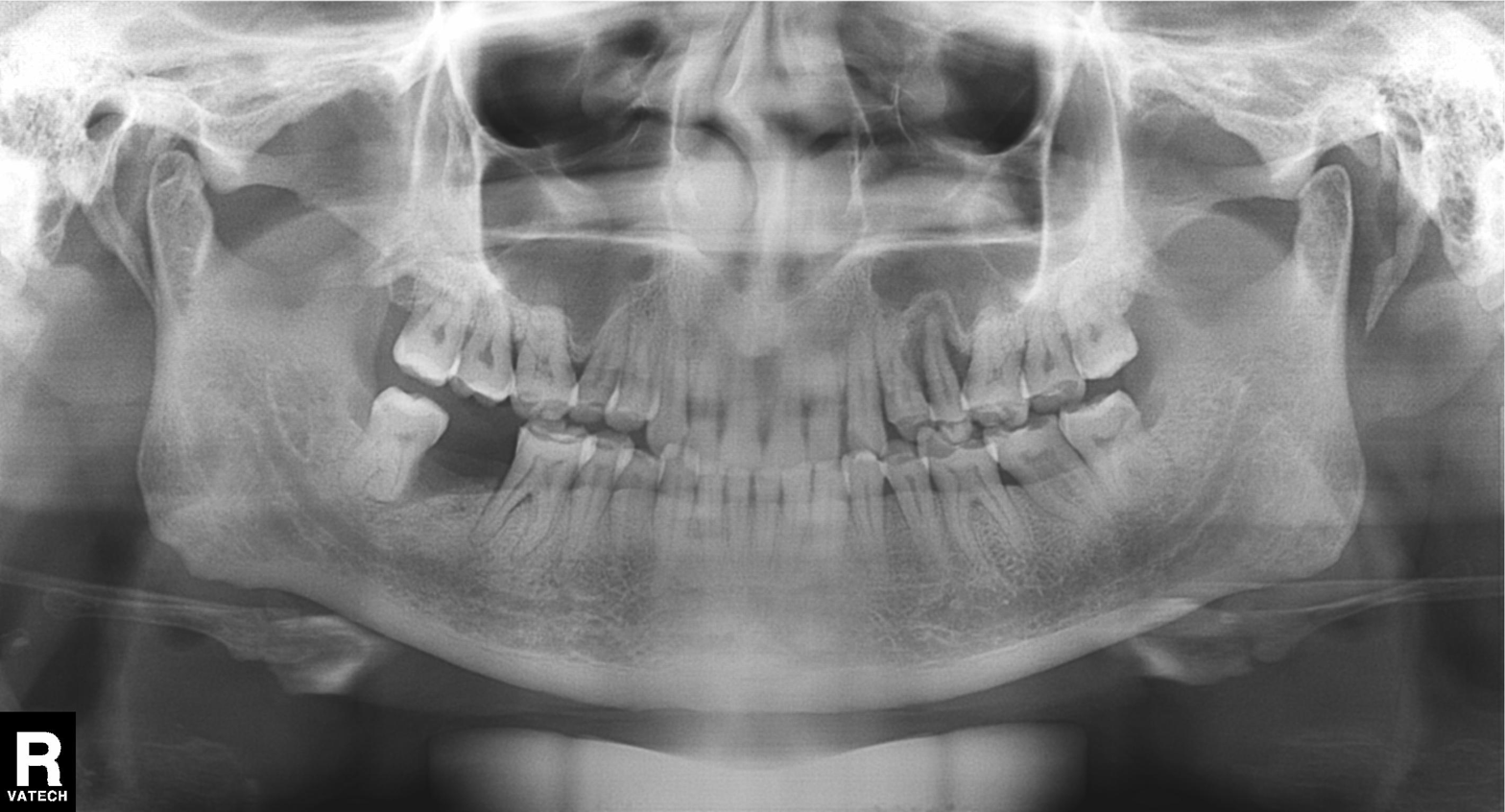
Case summary: Panoramic dental radiograph (orthopantomogram).
Conclusion: Alveolar bone loss.